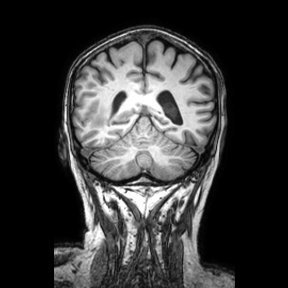
modality:
  type: brain MRI
  field_strength: 3T
series: coronal
study_topic: ring-enhancing brain masses